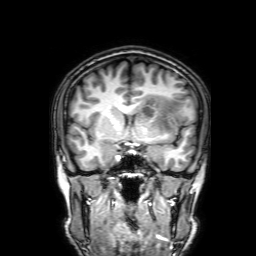
modality:
  type: brain MRI
  field_strength: 3T
series: 3D T1-weighted with SENSE
study_topic: ring-enhancing brain masses